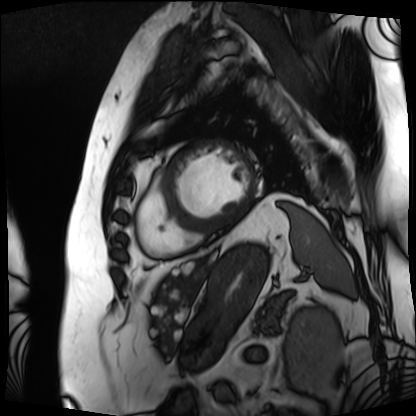
Case summary:
Cardiac MRI. Subject group: patient.